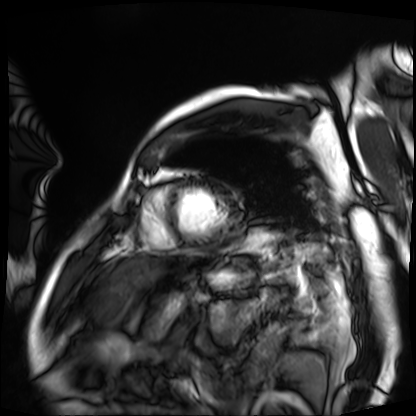
Clinical context: Cardiac MRI. Subject group: patient.